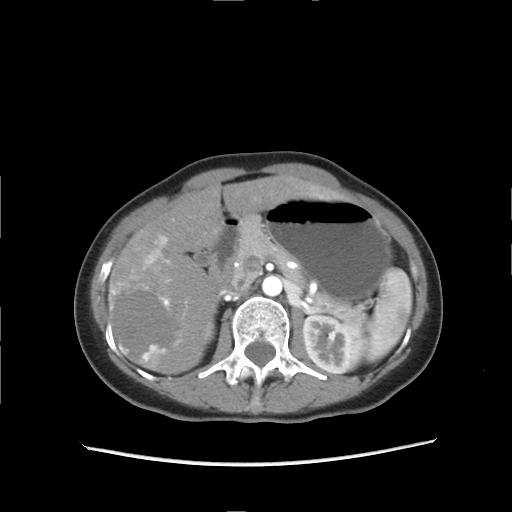
{
  "modality": {
    "type": "multiphase abdominal CT",
    "region": "liver",
    "phase": "arterial"
  },
  "patient": {
    "sex": "female",
    "age": 51
  }
}